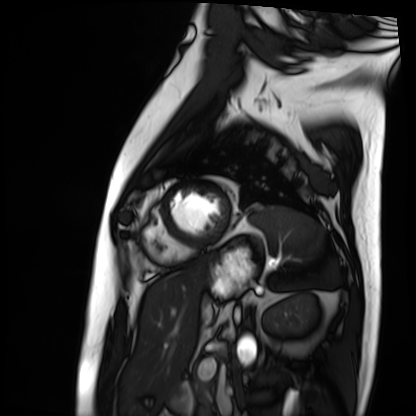
modality: cardiac MRI
subject group: patient